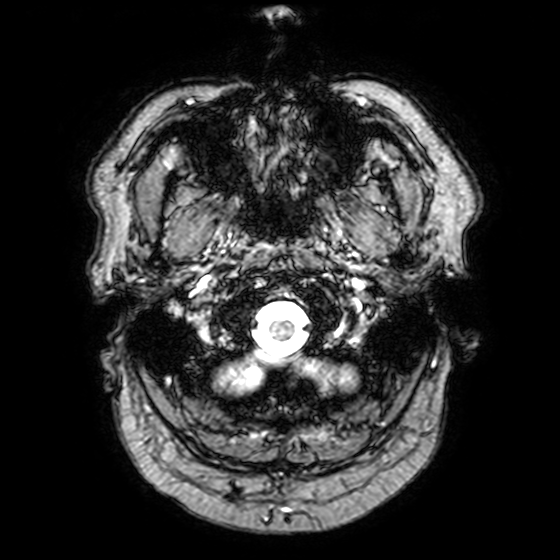
<record>
<modality>
  <type>brain MRI</type>
  <field_strength>3T</field_strength>
</modality>
<series>T2-weighted fast field echo with SENSE</series>
<study_topic>ring-enhancing brain masses</study_topic>
</record>